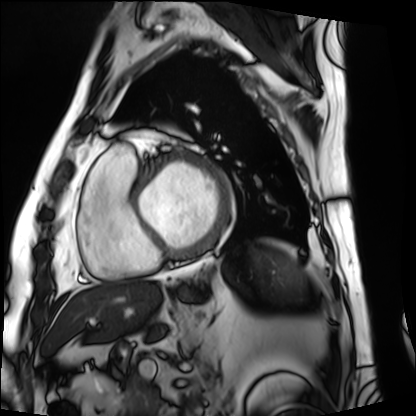
Cardiac MRI. Subject group: patient.